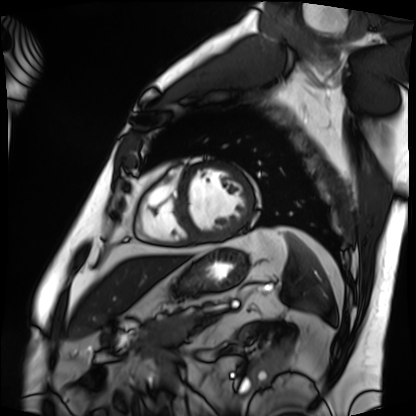
Cardiac MRI. Subject group: patient.